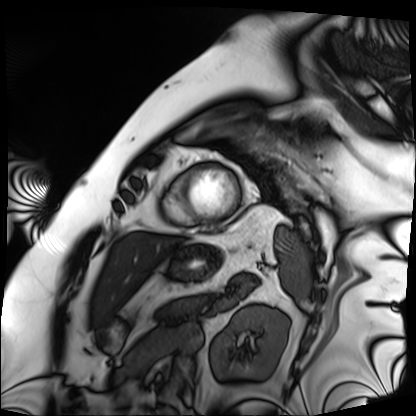
<record>
<modality>cardiac MRI</modality>
<cohort>patient</cohort>
</record>